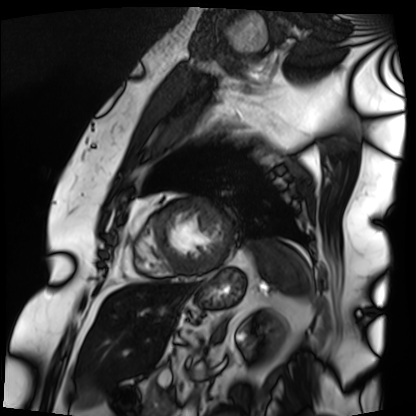
Case summary: Cardiac MRI. Subject group: patient.